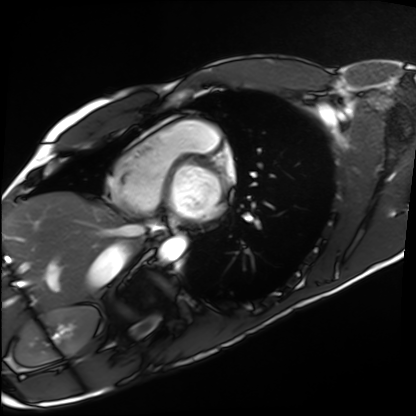
modality: cardiac MRI
subject group: healthy volunteer